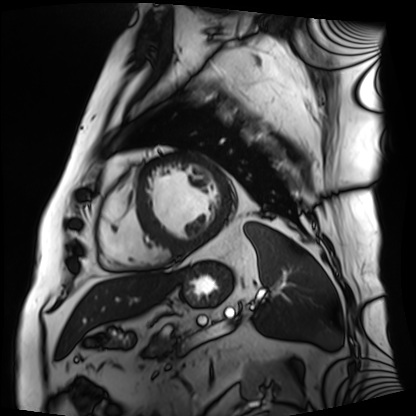
  modality: cardiac MRI
  cohort: patient